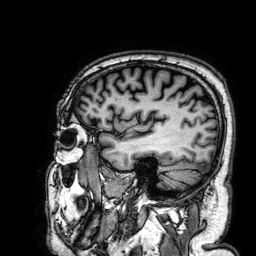
modality=3 Tesla brain MRI
series=3D T1-weighted
study=ring-enhancing brain masses